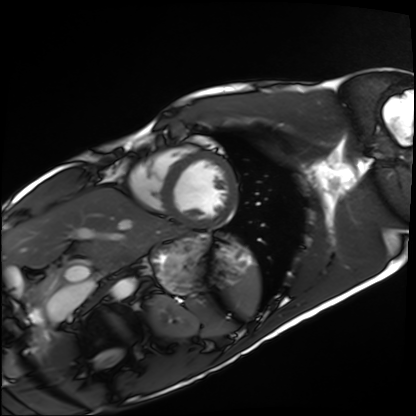
modality = cardiac MRI | subject group = healthy volunteer.